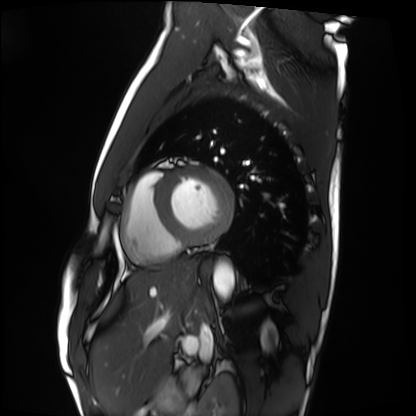
modality = cardiac MRI; subject group = healthy volunteer.